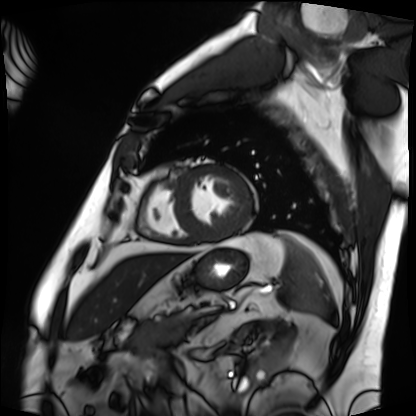
Cardiac MRI.
Subject group: patient.